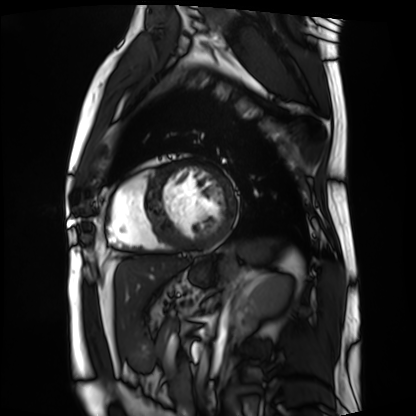
Q: What kind of scan is this?
A: Cardiac MRI.
Subject group: patient.